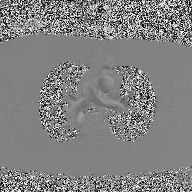
Clinical context:
2D phase-contrast cine MRI of the ascending aorta, high-resolution GRAPPA acquisition.